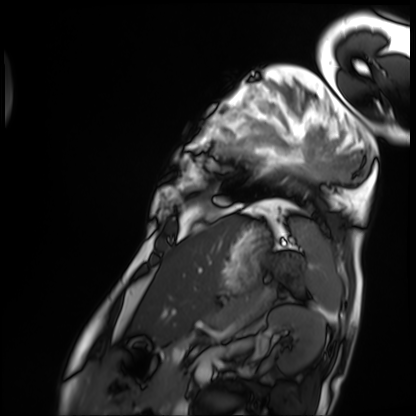
Cardiac MRI.
Subject group: patient.